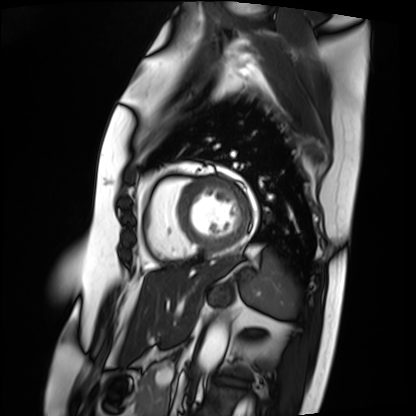
modality: cardiac MRI; subject group: patient.